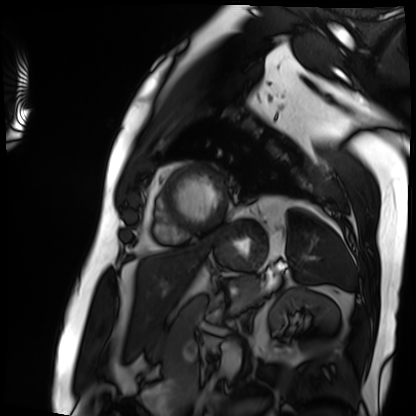
Summary: Cardiac MRI. Subject group: patient.